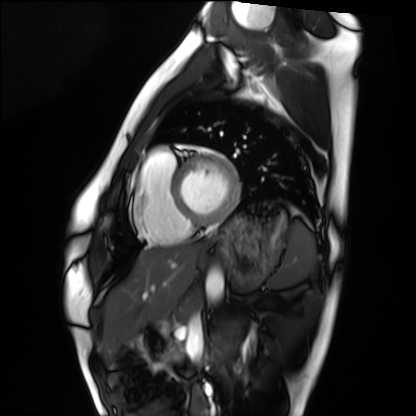
{"modality": "cardiac MRI", "cohort": "healthy volunteer"}